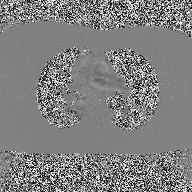
2D phase-contrast cine MRI of the ascending aorta, high-resolution GRAPPA acquisition.